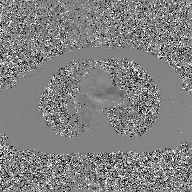
2D phase-contrast cine MRI of the ascending aorta, GAN super-resolution reconstruction.